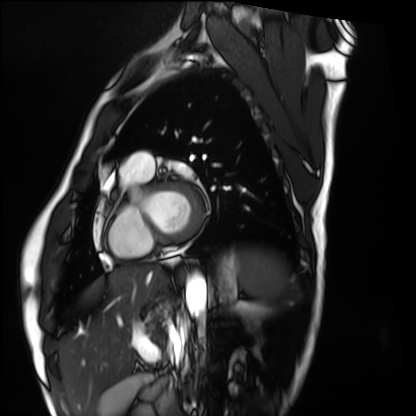
Clinical context:
Cardiac MRI. Subject group: healthy volunteer.